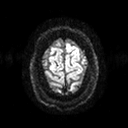
3 Tesla brain MRI. Series: diffusion tensor imaging (medium iso). Study: ring-enhancing brain masses.